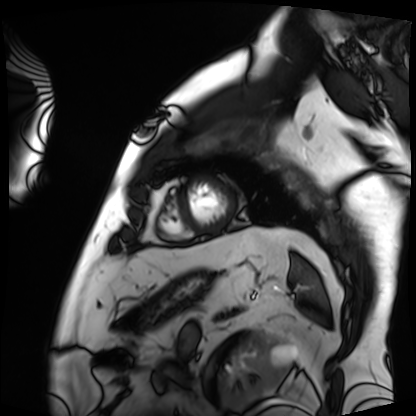
Cardiac MRI. Subject group: patient.